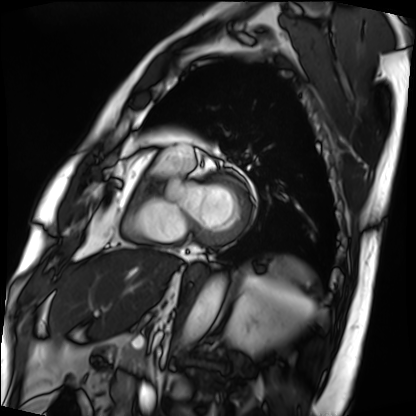
Summary: Cardiac MRI. Subject group: patient.